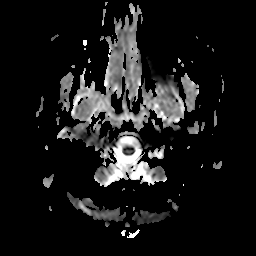
| field | value |
|---|---|
| modality | 3 Tesla brain MRI |
| series | apparent diffusion coefficient (ADC) map |
| study | ring-enhancing brain masses |